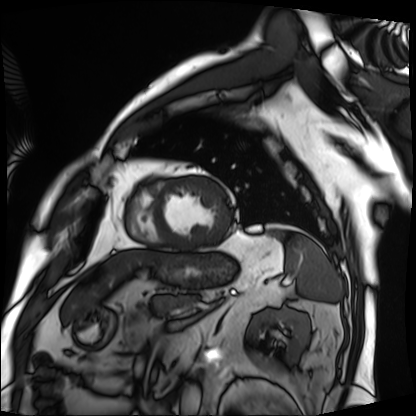
<scan>
  <modality>cardiac MRI</modality>
  <cohort>patient</cohort>
</scan>